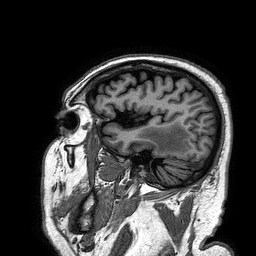
modality: 3 Tesla brain MRI
series: 3D T1-weighted turbo field echo
study: ring-enhancing brain masses